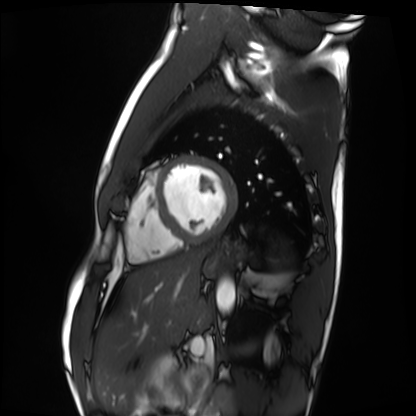
Cardiac MRI. Subject group: healthy volunteer.